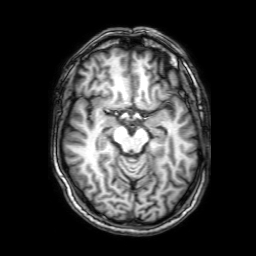
3 Tesla brain MRI.
Study: ring-enhancing brain masses.